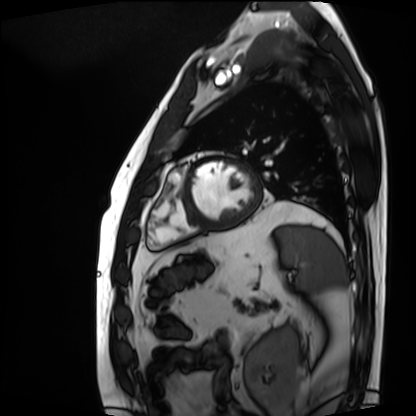
| field | value |
|---|---|
| modality | cardiac MRI |
| subject group | patient |